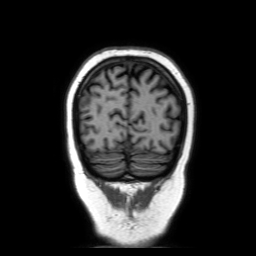
3 Tesla brain MRI. Series: coronal without contrast. Study: ring-enhancing brain masses.